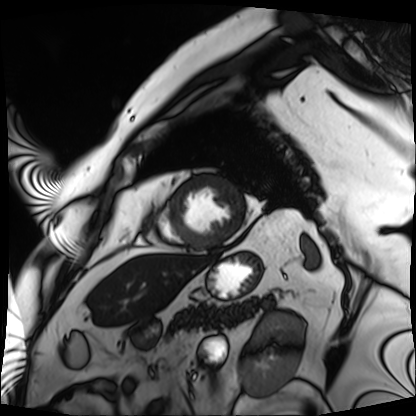
Cardiac MRI.
Subject group: patient.